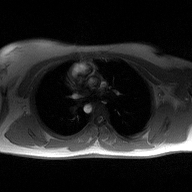
Summary:
2D phase-contrast cine MRI of the ascending aorta, high-resolution GRAPPA acquisition.